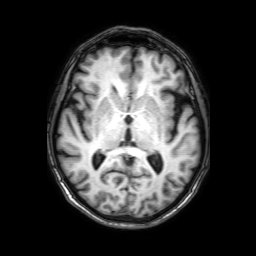
3 Tesla brain MRI. Study: ring-enhancing brain masses.